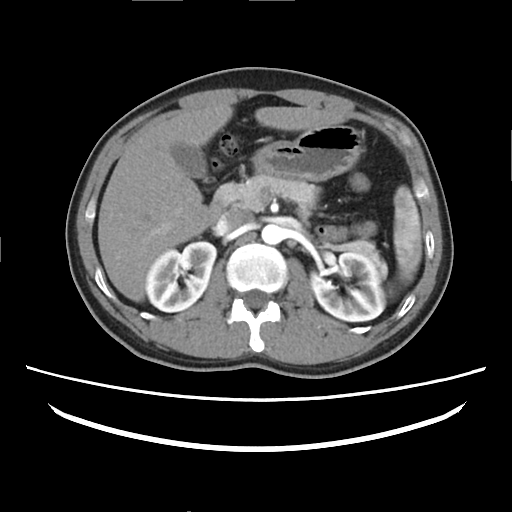
Multiphase abdominal CT, liver, arterial phase.
Patient: female, age 37.